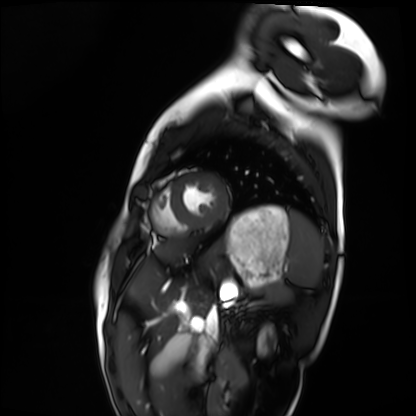
Summary:
Cardiac MRI. Subject group: healthy volunteer.